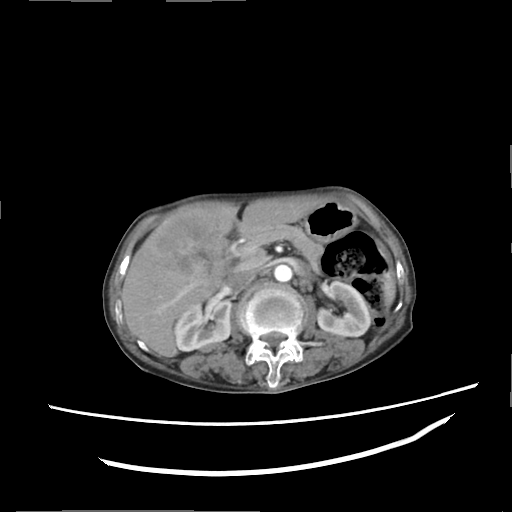
modality:
  type: multiphase abdominal CT
  region: liver
  phase: arterial
patient:
  sex: female
  age: 74